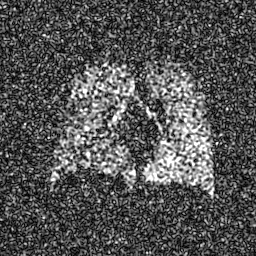
| field | value |
|---|---|
| modality | hyperpolarized 129Xe ventilation MRI of the lungs |
| SNR level | 8 of 8 (the deposit holds this scan as its native image and as seven SNR-degraded versions) |